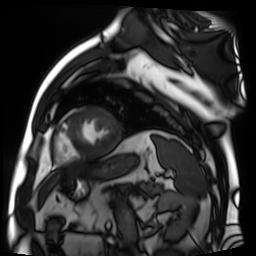
Summary: Cardiac MR image of the myocardium. Subject cohort: cardiac patient.